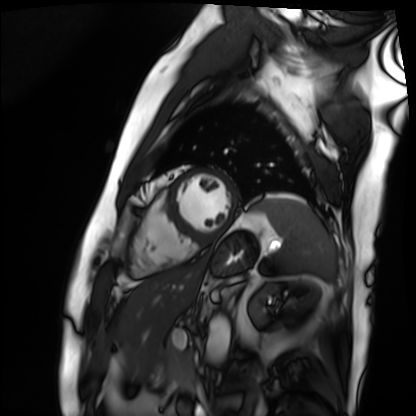
Q: What kind of scan is this?
A: Cardiac MRI.
Subject group: patient.